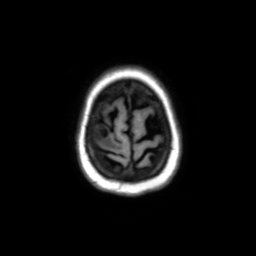
Case:
• modality · 3 Tesla brain MRI
• series · axial without contrast
• study · ring-enhancing brain masses